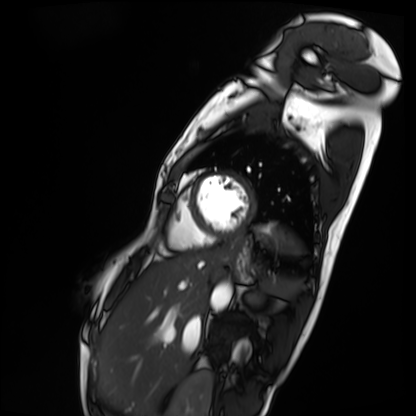
modality = cardiac MRI | subject group = patient.